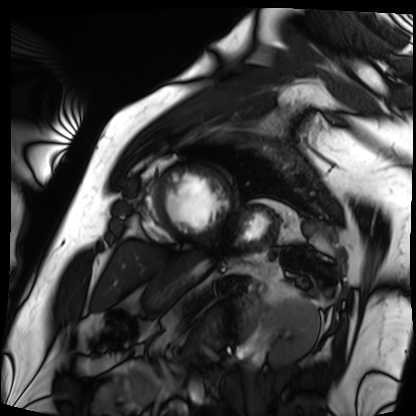
Cardiac MRI.
Subject group: patient.